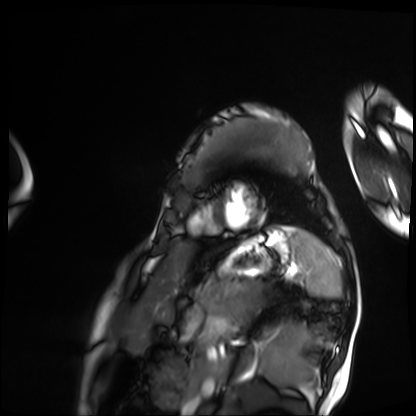
{
  "modality": "cardiac MRI",
  "cohort": "patient"
}